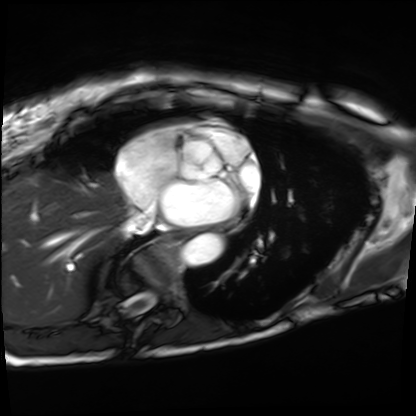
Summary:
Cardiac MRI. Subject group: patient.